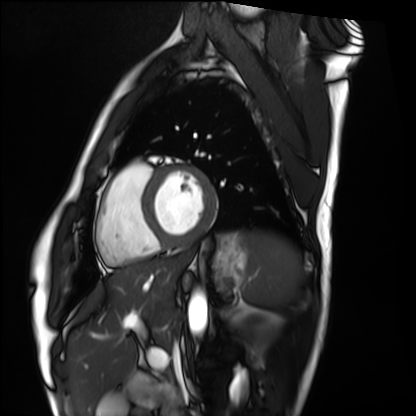
Cardiac MRI. Subject group: healthy volunteer.